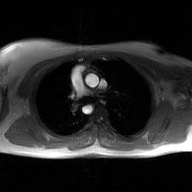
Q: What kind of scan is this?
A: 2D phase-contrast cine MRI of the ascending aorta, GAN super-resolution reconstruction.